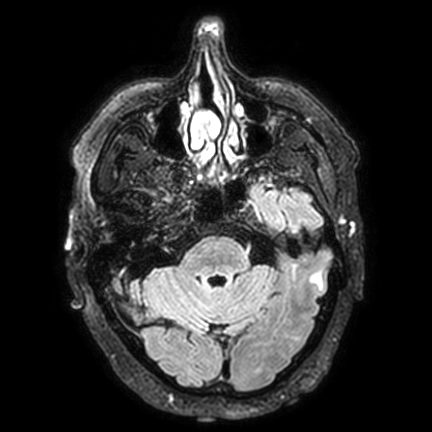
3 Tesla brain MRI.
Series: FLAIR VISTA with SENSE.
Study: ring-enhancing brain masses.